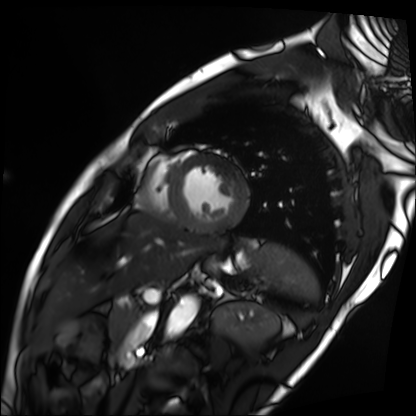
Summary: Cardiac MRI. Subject group: patient.